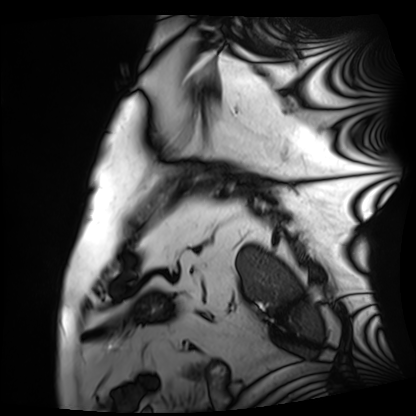
Q: What kind of scan is this?
A: Cardiac MRI.
Subject group: patient.